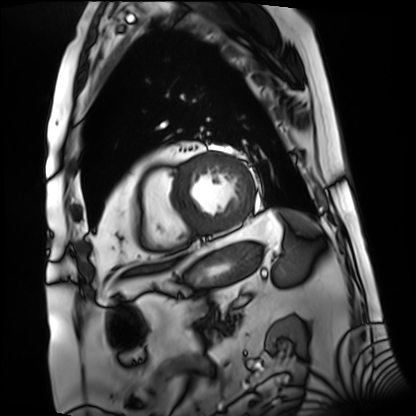
<case>
  <modality>cardiac MRI</modality>
  <cohort>patient</cohort>
</case>